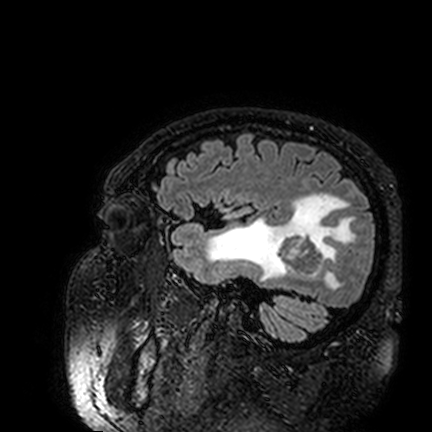
Case summary: 3 Tesla brain MRI. Series: FLAIR VISTA. Study: ring-enhancing brain masses.